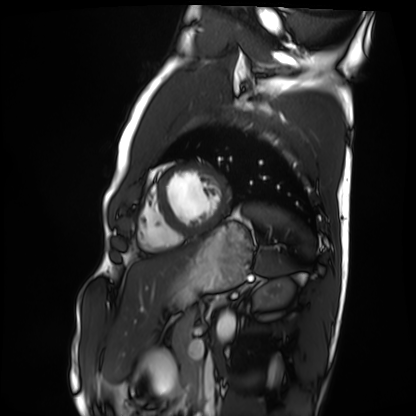
Cardiac MRI. Subject group: healthy volunteer.